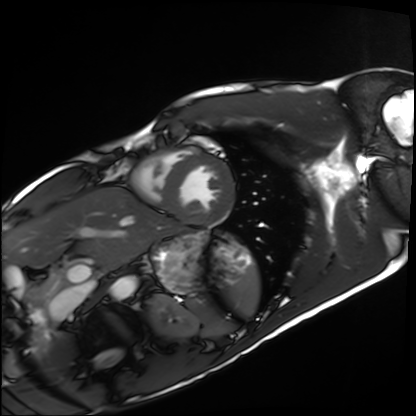
Q: What kind of scan is this?
A: Cardiac MRI.
Subject group: healthy volunteer.